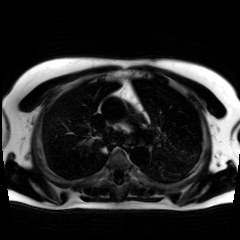
modality: chemical-shift-encoded cardiac MRI